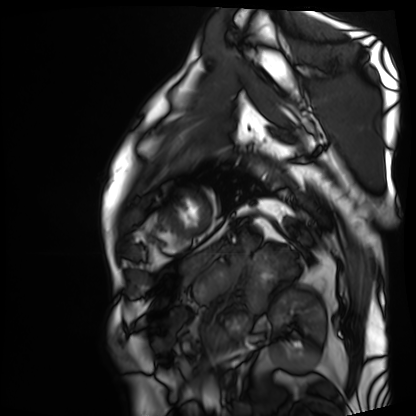
modality: cardiac MRI
subject group: patient